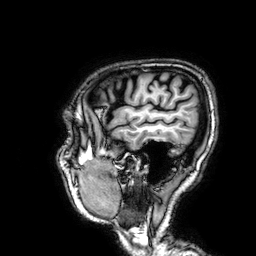
modality=3 Tesla brain MRI | study=ring-enhancing brain masses.